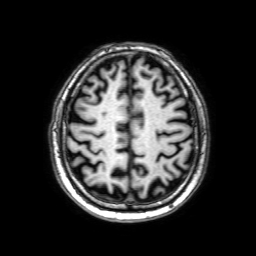
3 Tesla brain MRI. Series: 3D T1-weighted with SENSE. Study: ring-enhancing brain masses.